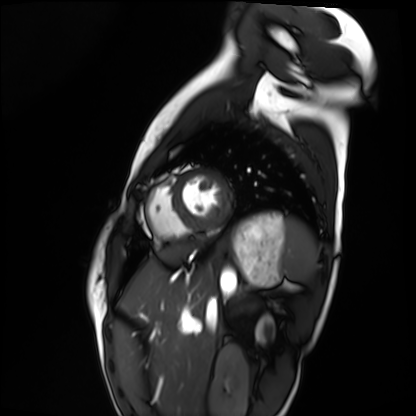
Cardiac MRI.
Subject group: healthy volunteer.